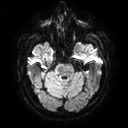
Case:
- modality · 3 Tesla brain MRI
- series · diffusion tensor imaging (medium iso)
- study · ring-enhancing brain masses